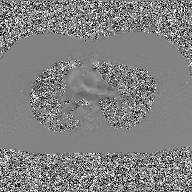
2D phase-contrast cine MRI of the ascending aorta, GAN super-resolution reconstruction.